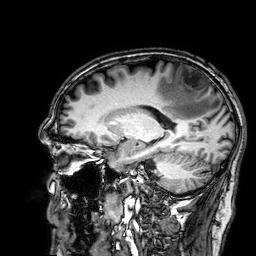
modality:
  type: brain MRI
  field_strength: 3T
series: 3D T1-weighted
study_topic: ring-enhancing brain masses